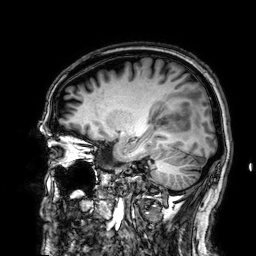
Q: What kind of scan is this?
A: 3 Tesla brain MRI.
Q: Series?
A: 3D T1-weighted.
Study: ring-enhancing brain masses.